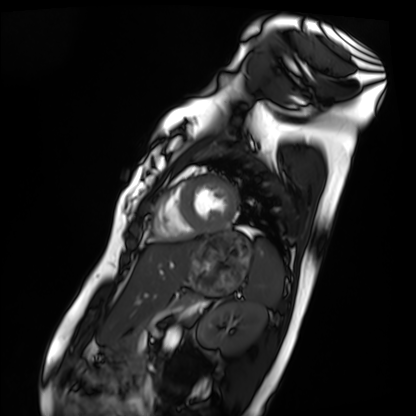
modality: cardiac MRI
subject group: healthy volunteer